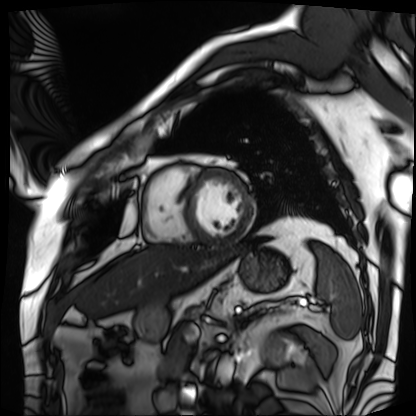
Cardiac MRI.
Subject group: patient.